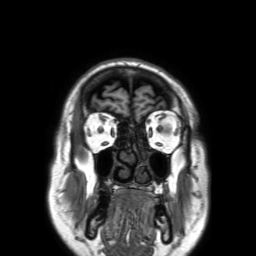
Summary: 3 Tesla brain MRI. Series: 3D T1-weighted TFE with SENSE. Study: ring-enhancing brain masses.